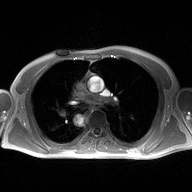
2D phase-contrast cine MRI of the ascending aorta, high-resolution GRAPPA acquisition.